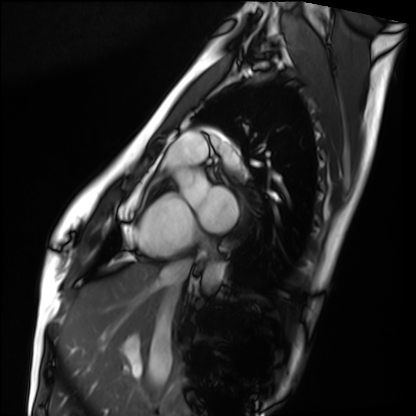
Clinical context: Cardiac MRI. Subject group: healthy volunteer.